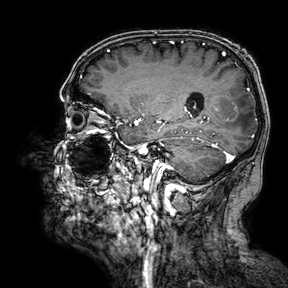
modality = 3 Tesla brain MRI
study = ring-enhancing brain masses